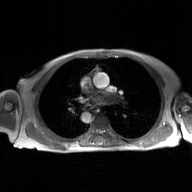
| field | value |
|---|---|
| modality | 2D phase-contrast cine MRI of the ascending aorta, GAN super-resolution reconstruction |